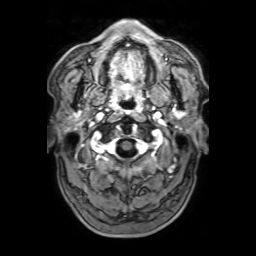
Q: What kind of scan is this?
A: 3 Tesla brain MRI.
Q: Series?
A: 3D T1-weighted with SENSE.
Study: ring-enhancing brain masses.